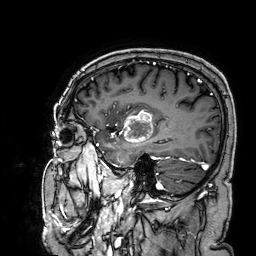
Clinical context:
3 Tesla brain MRI. Series: 3D T1-weighted. Study: ring-enhancing brain masses.